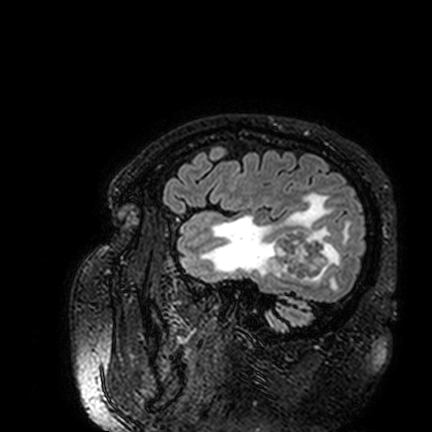
3 Tesla brain MRI. Series: FLAIR VISTA. Study: ring-enhancing brain masses.